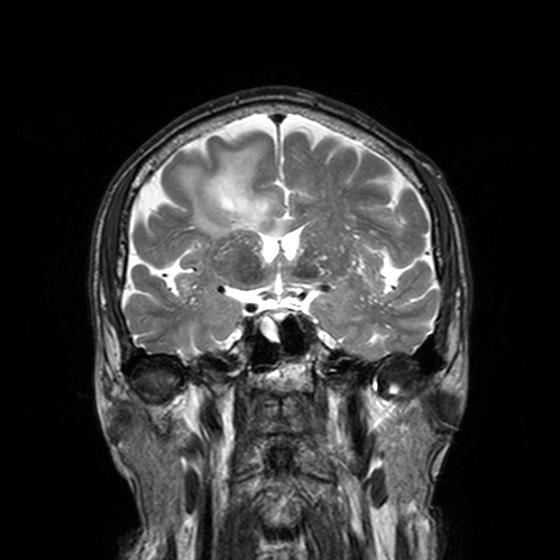
modality: 3 Tesla brain MRI; series: T2-weighted turbo spin echo, 3 mm; study: ring-enhancing brain masses.